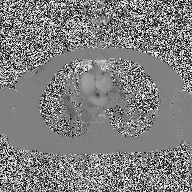
modality = 2D phase-contrast cine MRI of the ascending aorta